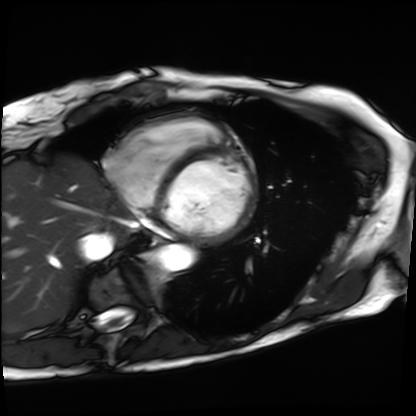
Case:
– modality: cardiac MRI
– subject group: patient